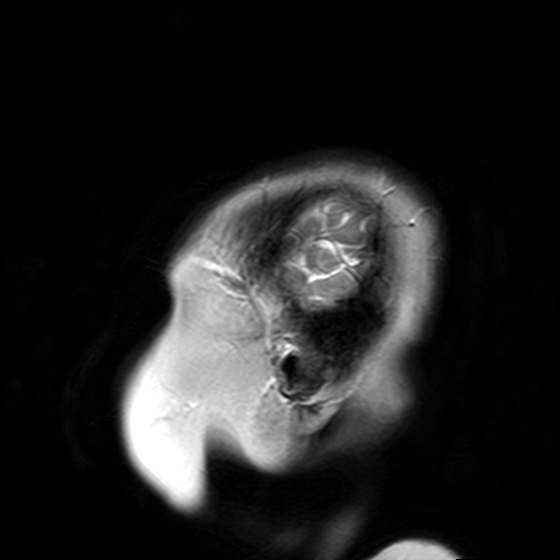
modality:
  type: brain MRI
  field_strength: 3T
series: T2-weighted turbo spin echo with SENSE
study_topic: ring-enhancing brain masses